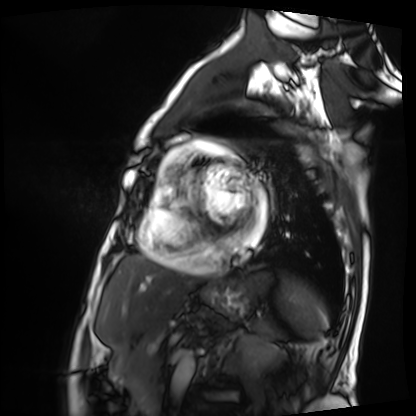
{
  "modality": "cardiac MRI",
  "cohort": "patient"
}